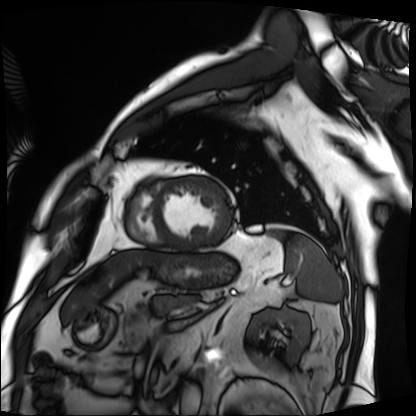
Case summary: Cardiac MRI. Subject group: patient.